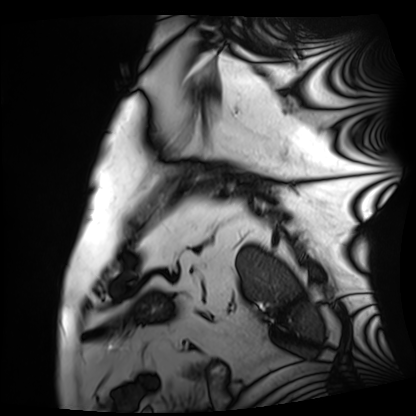
Q: What kind of scan is this?
A: Cardiac MRI.
Subject group: patient.